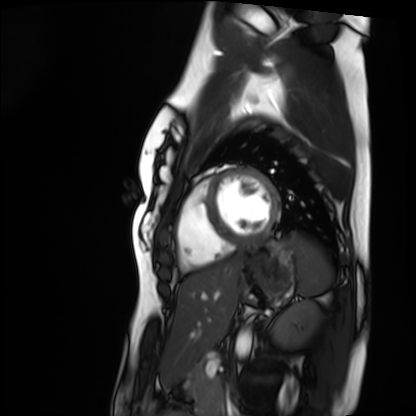
Summary:
Cardiac MRI. Subject group: healthy volunteer.